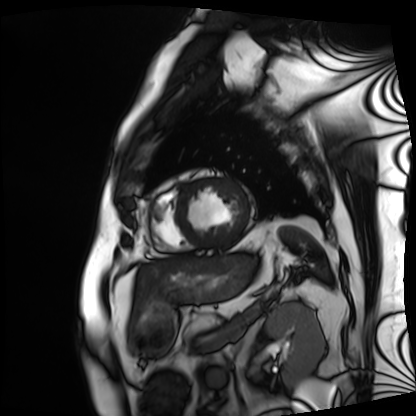
Cardiac MRI.
Subject group: patient.